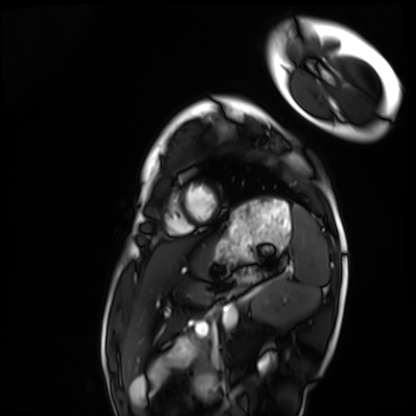
Cardiac MRI. Subject group: healthy volunteer.